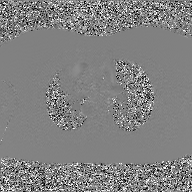
2D phase-contrast cine MRI of the ascending aorta, GAN super-resolution reconstruction.